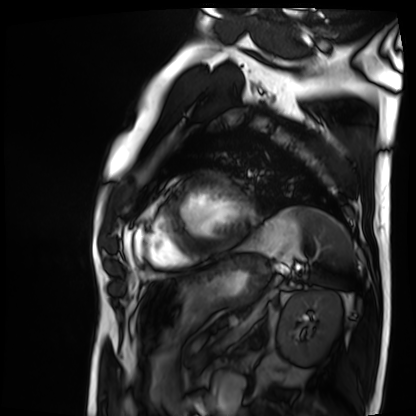
Clinical context: Cardiac MRI. Subject group: patient.